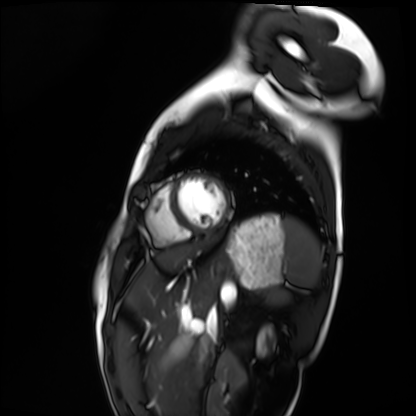
<record>
<modality>cardiac MRI</modality>
<cohort>healthy volunteer</cohort>
</record>